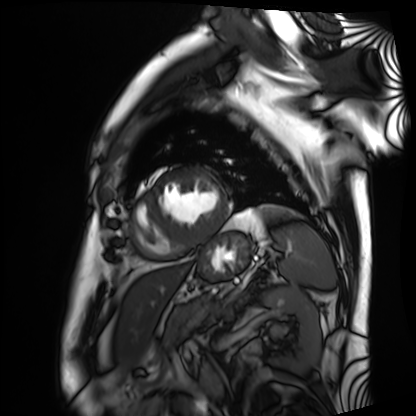
- modality: cardiac MRI
- subject group: patient